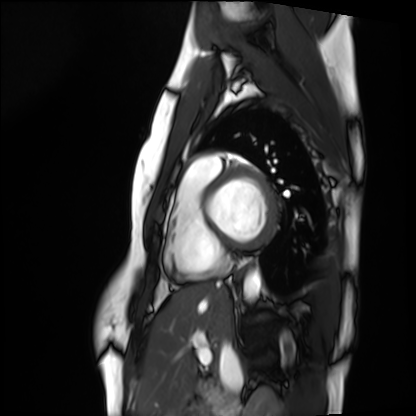
Cardiac MRI.
Subject group: healthy volunteer.